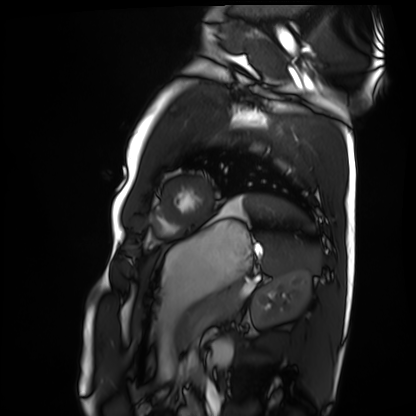
Case summary:
Cardiac MRI. Subject group: healthy volunteer.